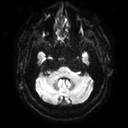
3 Tesla brain MRI. Series: diffusion tensor imaging (medium iso). Study: ring-enhancing brain masses.